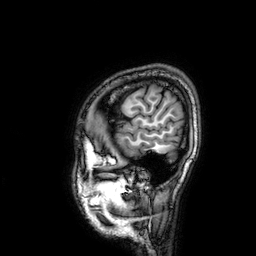
modality:
  type: brain MRI
  field_strength: 3T
series: 3D T1-weighted
study_topic: ring-enhancing brain masses